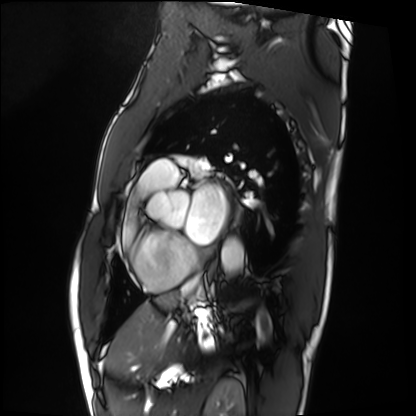
• modality · cardiac MRI
• subject group · patient